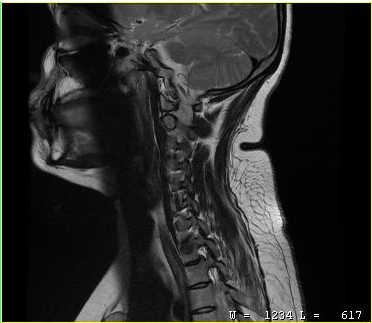
MRI of the cervical spine. Study: cervical spondylosis.